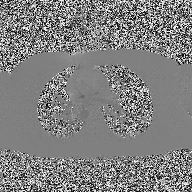
2D phase-contrast cine MRI of the ascending aorta, high-resolution GRAPPA acquisition.